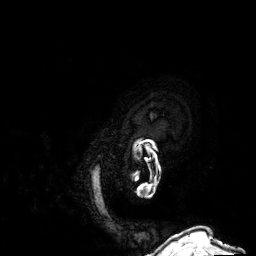
{
  "modality": {
    "type": "brain MRI",
    "field_strength": "3T"
  },
  "series": "3D T1-weighted",
  "study_topic": "ring-enhancing brain masses"
}